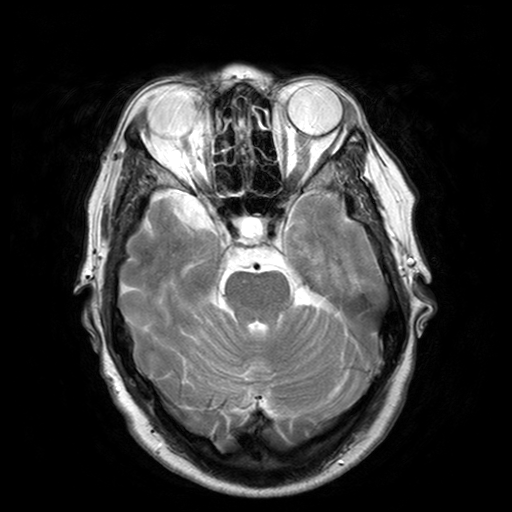
3 Tesla brain MRI. Series: T2-weighted turbo spin echo with SENSE. Study: ring-enhancing brain masses.